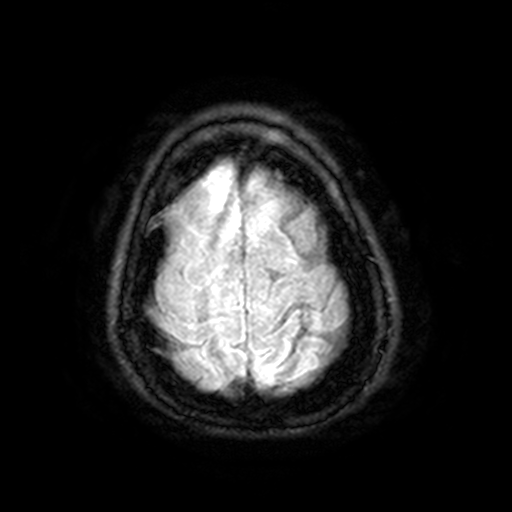
Summary: 3 Tesla brain MRI. Series: FLAIR with SPAIR, 3 mm. Study: ring-enhancing brain masses.